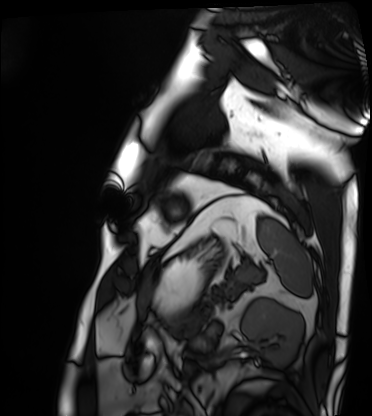
modality = cardiac MRI; subject group = patient.